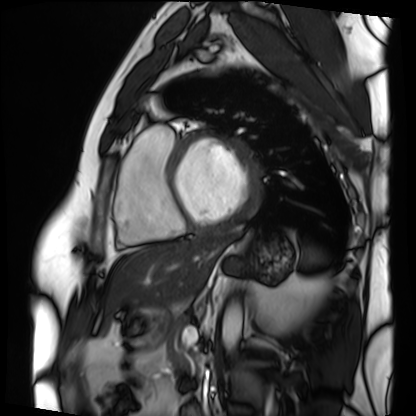
{"modality": "cardiac MRI", "cohort": "patient"}